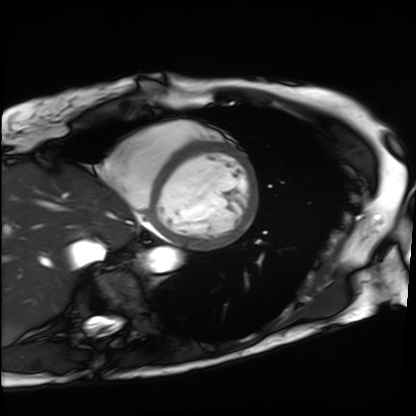
Summary: Cardiac MRI. Subject group: patient.